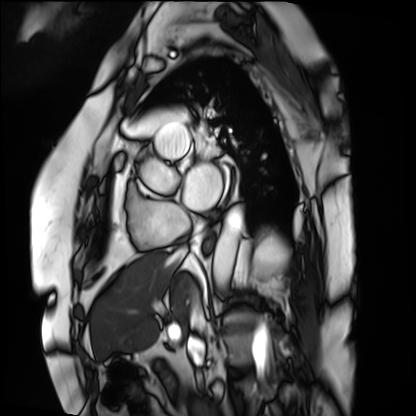
Cardiac MRI.
Subject group: patient.